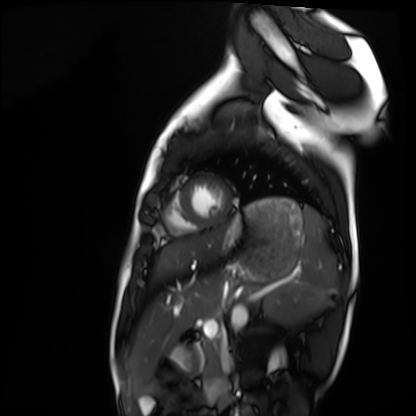
Clinical context:
Cardiac MRI. Subject group: healthy volunteer.